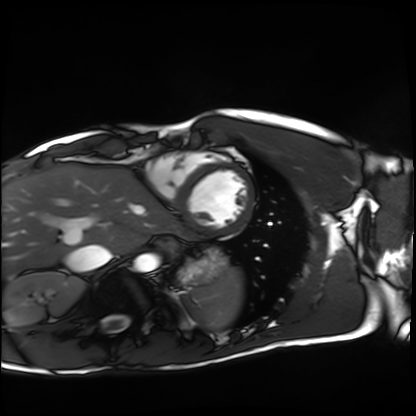
Summary: Cardiac MRI. Subject group: healthy volunteer.